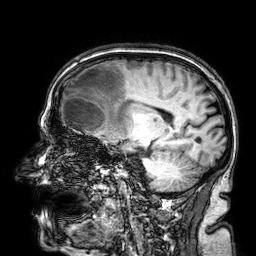
3 Tesla brain MRI. Series: 3D T1-weighted. Study: ring-enhancing brain masses.